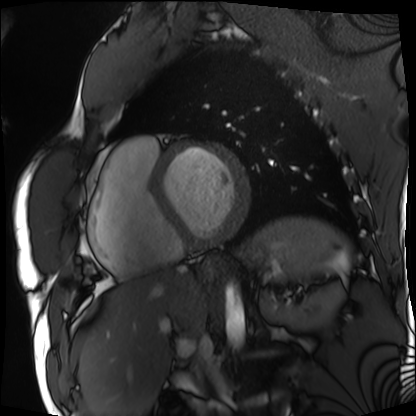
| field | value |
|---|---|
| modality | cardiac MRI |
| subject group | patient |